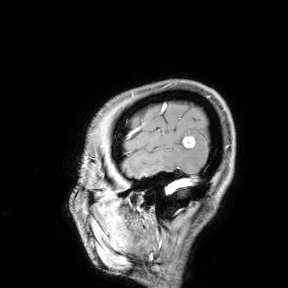
modality: 3 Tesla brain MRI | study: ring-enhancing brain masses.